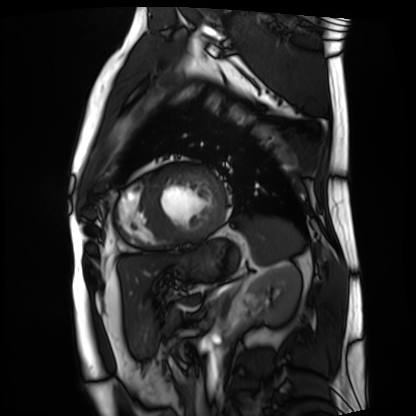
modality = cardiac MRI | subject group = patient.